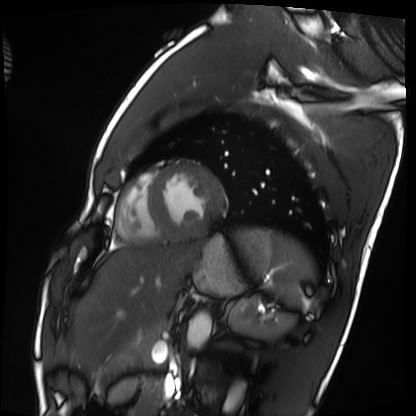
Cardiac MRI. Subject group: healthy volunteer.